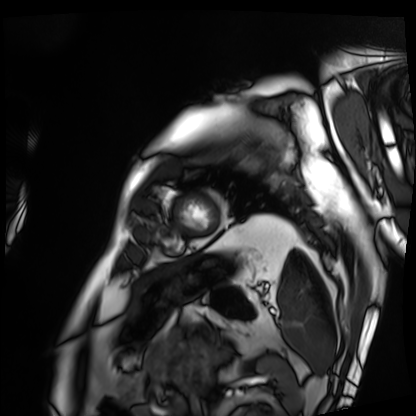
  modality: cardiac MRI
  cohort: patient